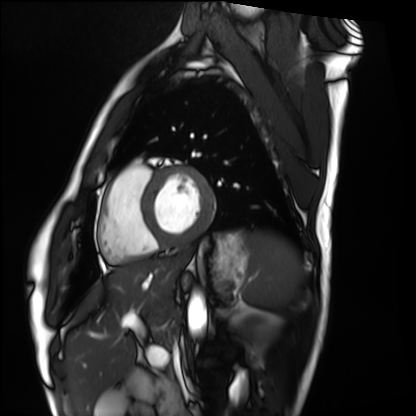
| field | value |
|---|---|
| modality | cardiac MRI |
| subject group | healthy volunteer |